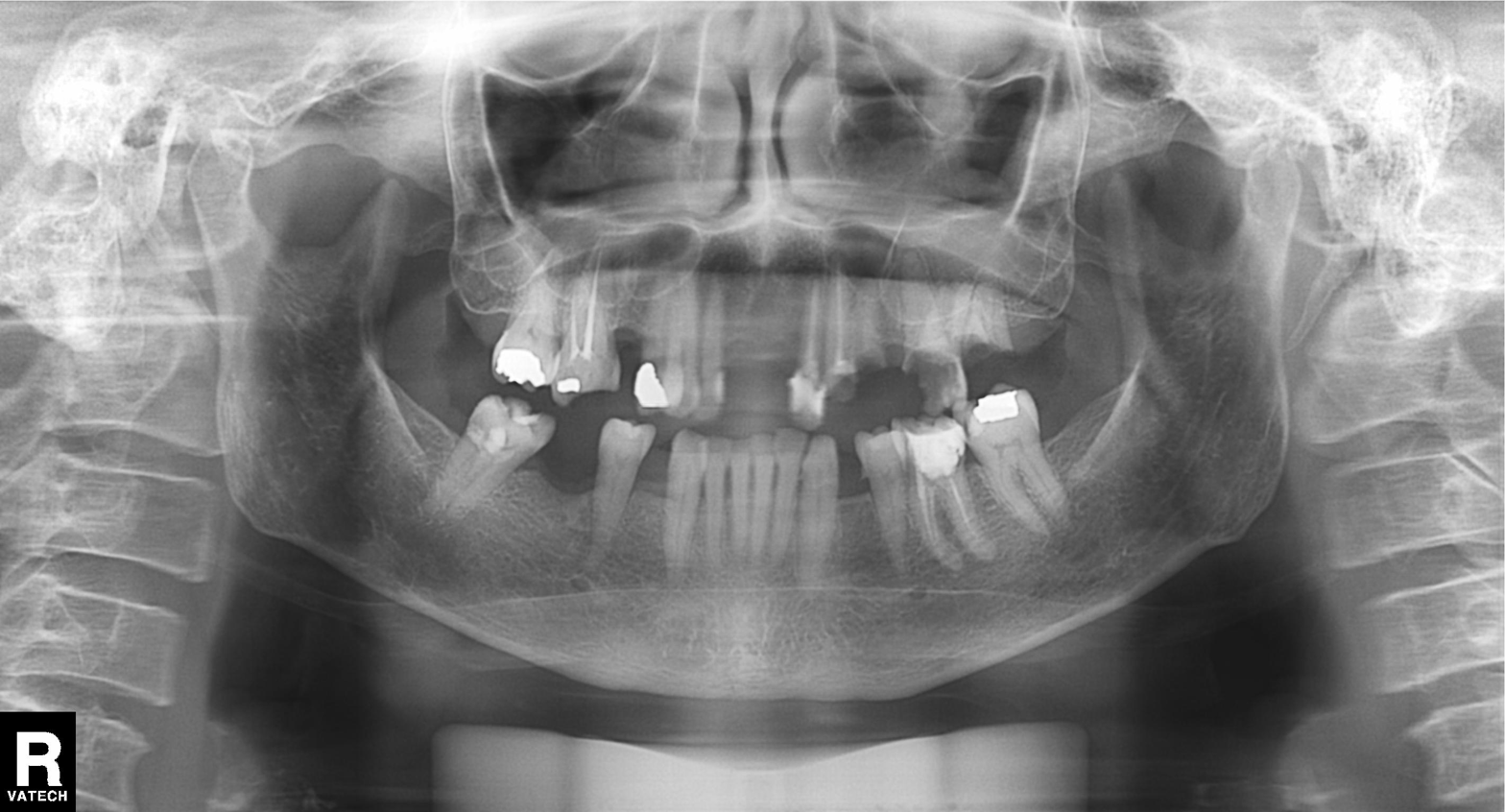
| feature | finding |
|---|---|
| modality | panoramic dental radiograph (orthopantomogram) |
| finding | alveolar bone loss |